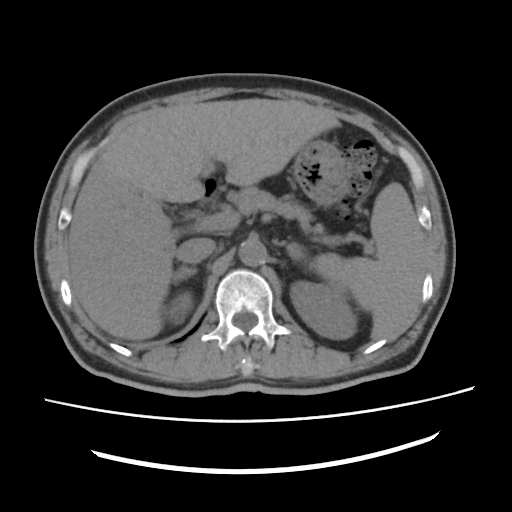
Multiphase abdominal CT, liver, non-contrast phase. Patient: male, age 60. History: viral hepatitis, prior chemotherapy.